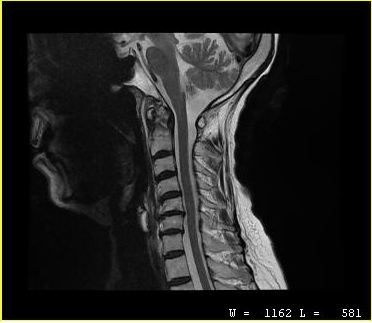
MRI of the cervical spine.
Study: cervical spondylosis.